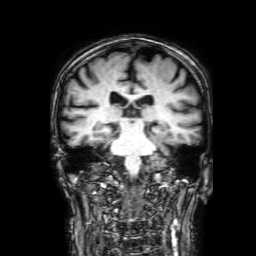
modality = 3 Tesla brain MRI | study = ring-enhancing brain masses.